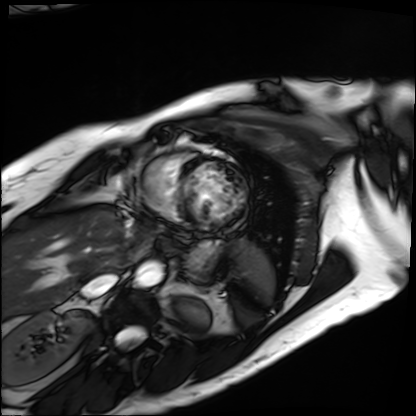
  modality: cardiac MRI
  cohort: patient